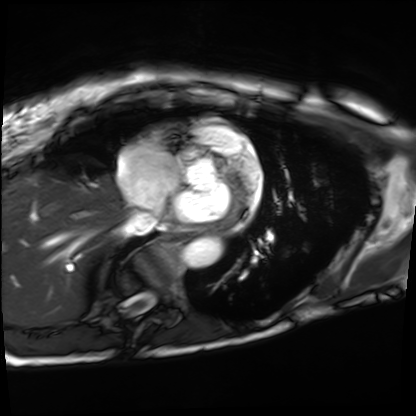
  modality: cardiac MRI
  cohort: patient